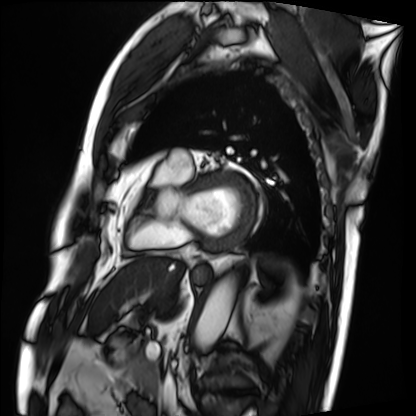
Cardiac MRI.
Subject group: patient.